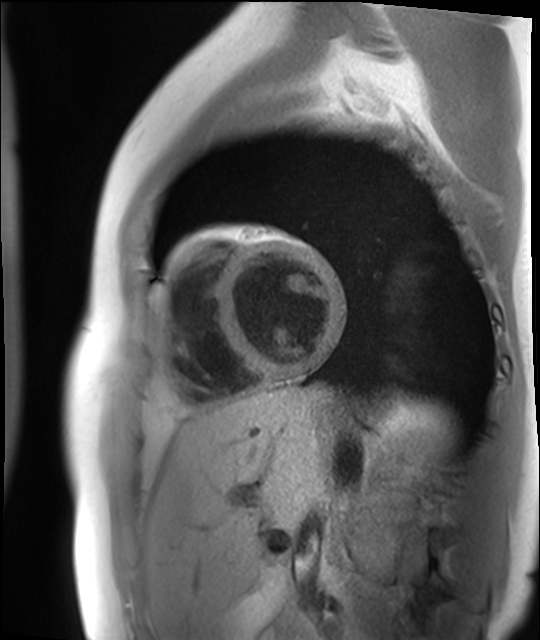
Summary: Cardiac MR image of the myocardium. Subject cohort: healthy volunteer.